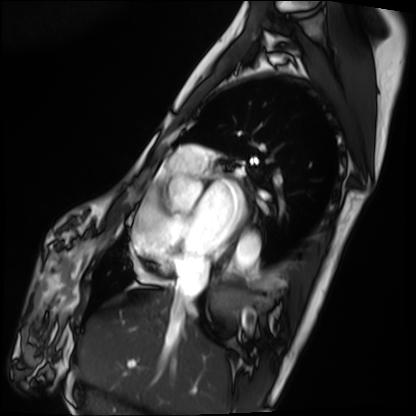
Cardiac MRI. Subject group: patient.